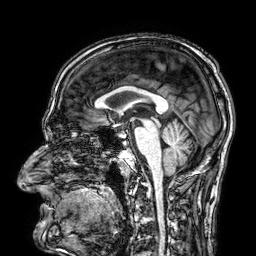
  modality:
    type: brain MRI
    field_strength: 3T
  series: 3D T1-weighted
  study_topic: ring-enhancing brain masses